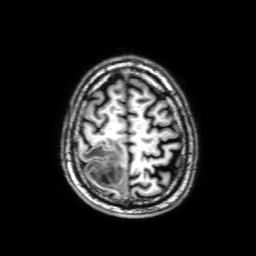
Clinical context:
3 Tesla brain MRI. Series: 3D T1-weighted with SENSE. Study: ring-enhancing brain masses.